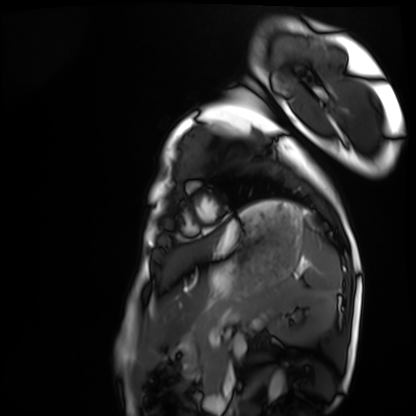
modality=cardiac MRI | subject group=healthy volunteer.